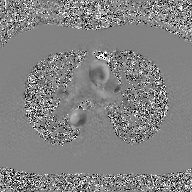
2D phase-contrast cine MRI of the ascending aorta, GAN super-resolution reconstruction.